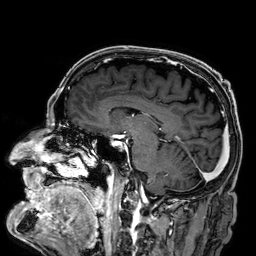
Case summary: 3 Tesla brain MRI. Series: 3D T1-weighted. Study: ring-enhancing brain masses.